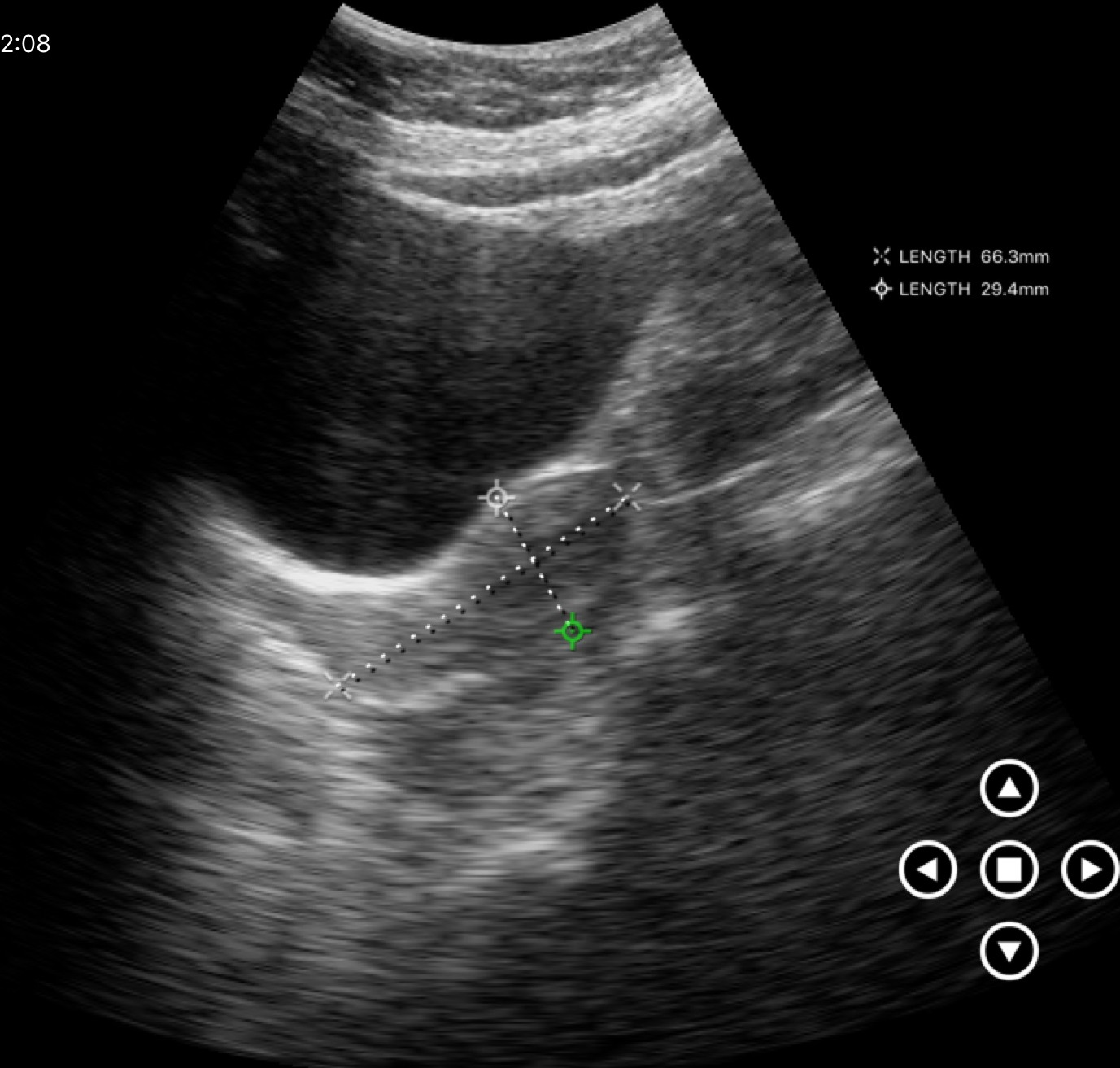
Case:
- modality · genitourinary ultrasound